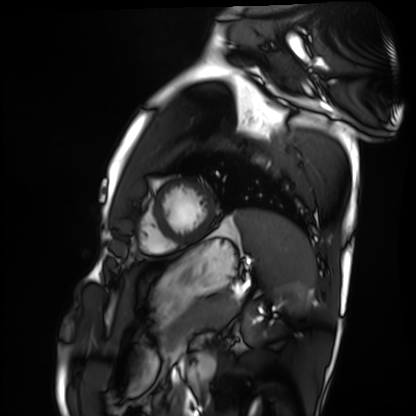
- modality — cardiac MRI
- subject group — healthy volunteer